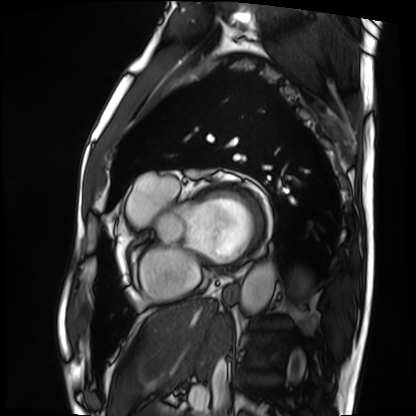
Q: What kind of scan is this?
A: Cardiac MRI.
Subject group: patient.